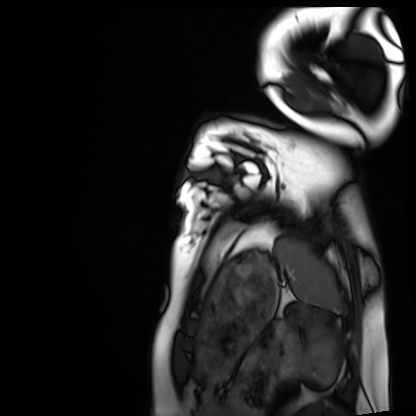
Cardiac MRI. Subject group: healthy volunteer.